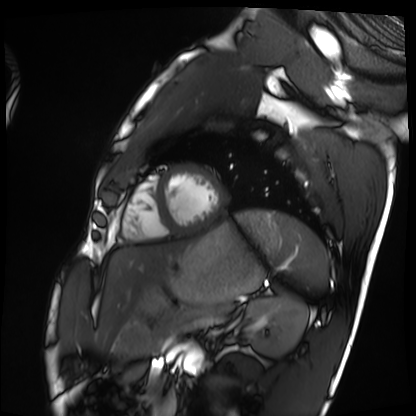
Cardiac MRI. Subject group: healthy volunteer.